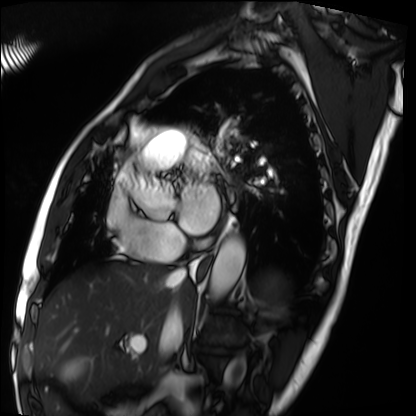
modality: cardiac MRI; subject group: patient.